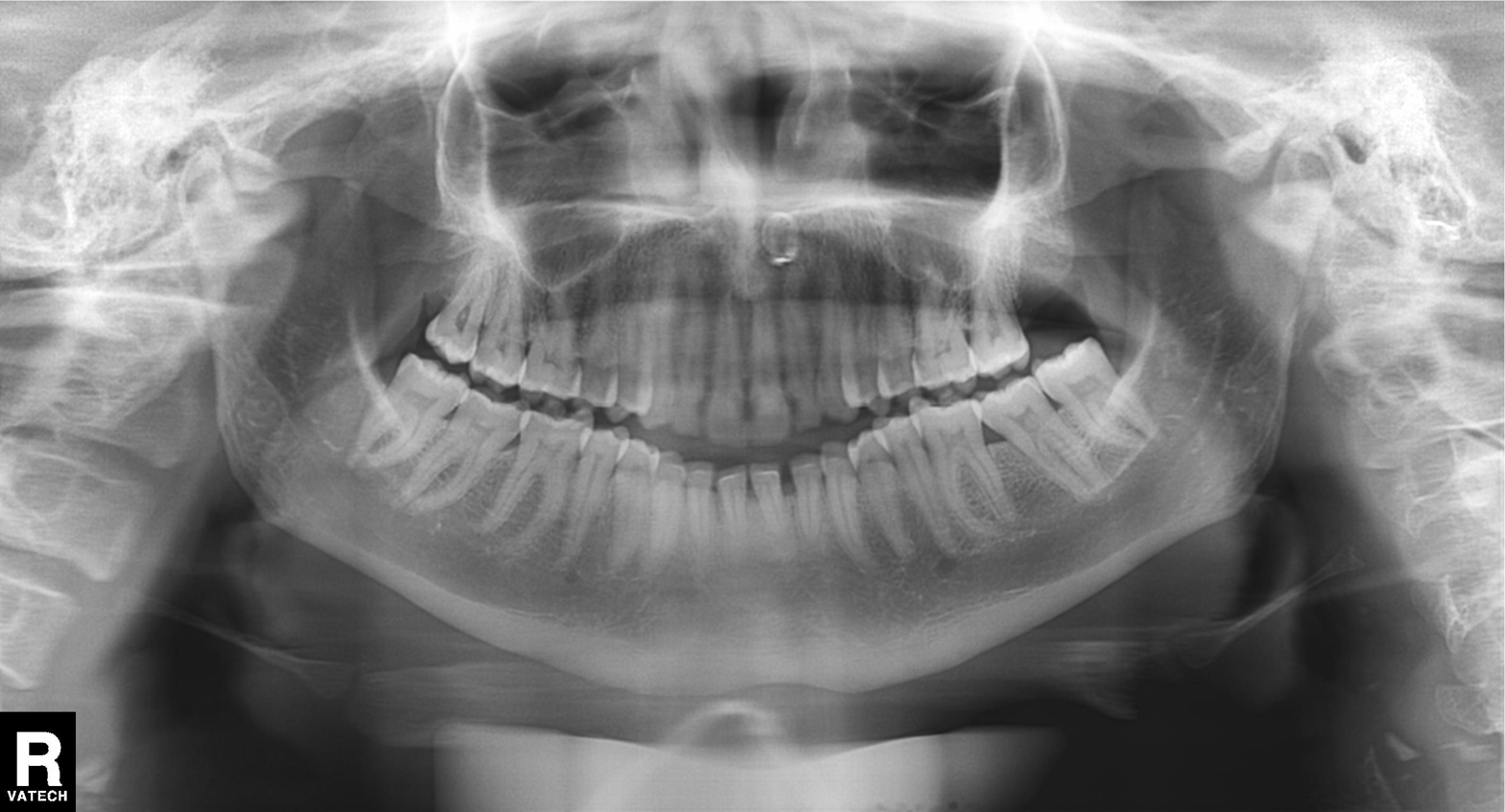
<record>
  <modality>panoramic dental radiograph (orthopantomogram)</modality>
  <finding>dental caries (cavities)</finding>
</record>